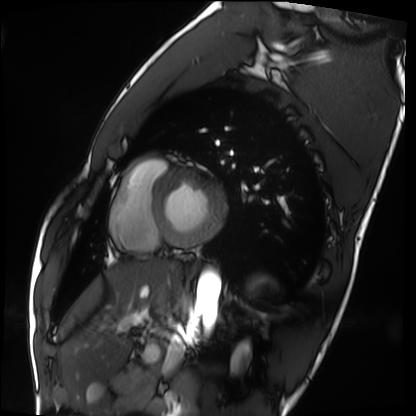
Cardiac MRI.
Subject group: healthy volunteer.